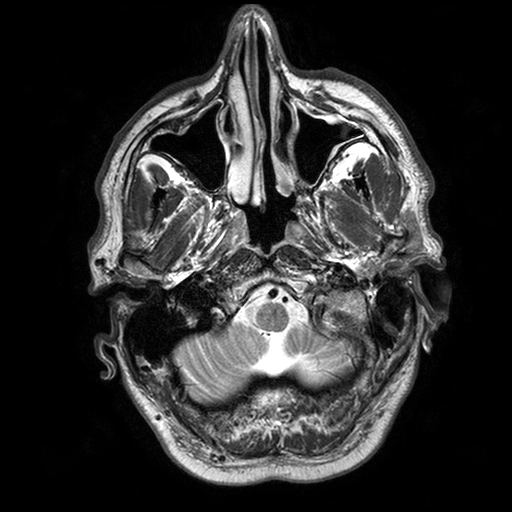
3 Tesla brain MRI.
Series: T2-weighted turbo spin echo with SENSE.
Study: ring-enhancing brain masses.